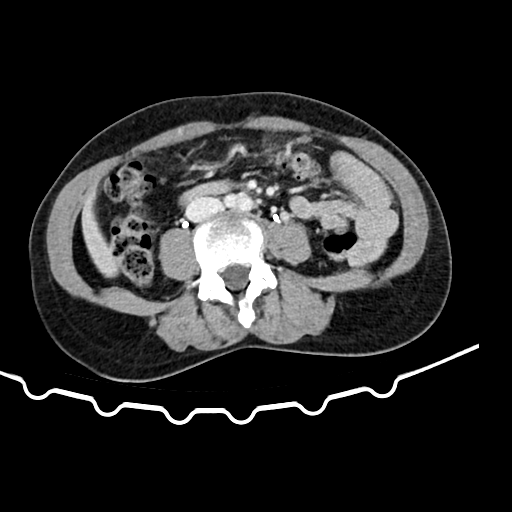
Multiphase abdominal CT, liver, delayed phase. Patient: female, age 48.